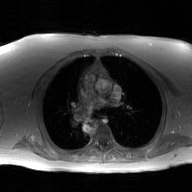
• modality · 2D phase-contrast cine MRI of the ascending aorta, GAN super-resolution reconstruction